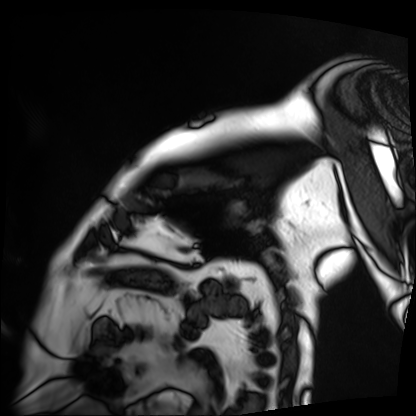
| field | value |
|---|---|
| modality | cardiac MRI |
| subject group | patient |